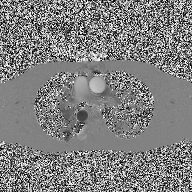
2D phase-contrast cine MRI of the ascending aorta, high-resolution GRAPPA acquisition.